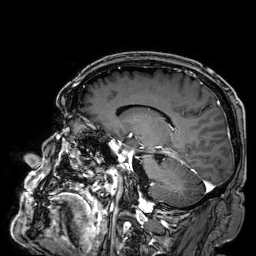
Q: What kind of scan is this?
A: 3 Tesla brain MRI.
Q: Series?
A: 3D T1-weighted.
Study: ring-enhancing brain masses.